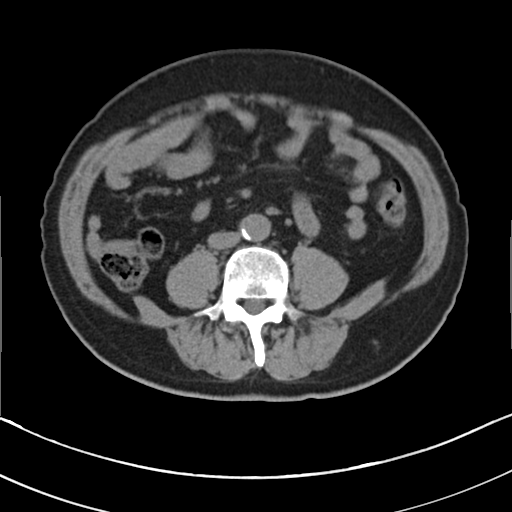
Multiphase abdominal CT, liver, non-contrast phase.
Patient: male, age 67.
History: viral hepatitis, prior chemotherapy.